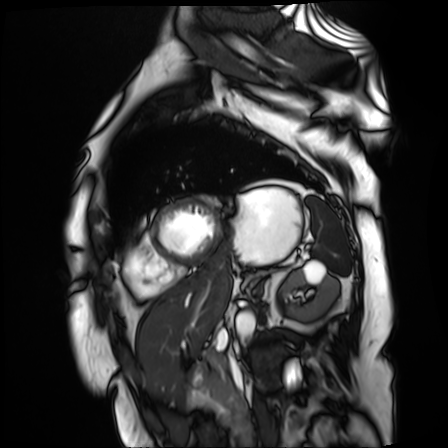
* modality — cardiac MR image of the myocardium
* subject cohort — cardiac patient